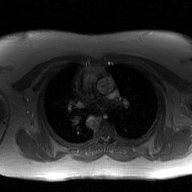
Summary:
2D phase-contrast cine MRI of the ascending aorta, GAN super-resolution reconstruction.